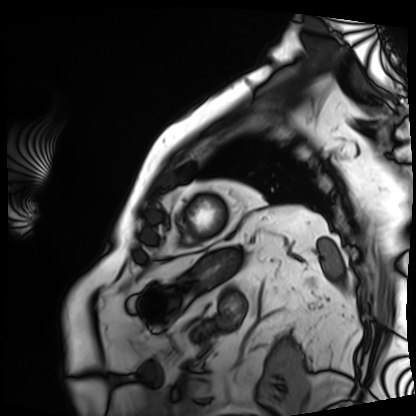
Case summary:
Cardiac MRI. Subject group: patient.